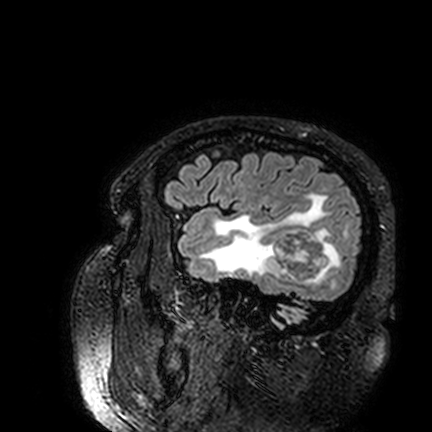
Q: What kind of scan is this?
A: 3 Tesla brain MRI.
Q: Series?
A: FLAIR VISTA.
Study: ring-enhancing brain masses.